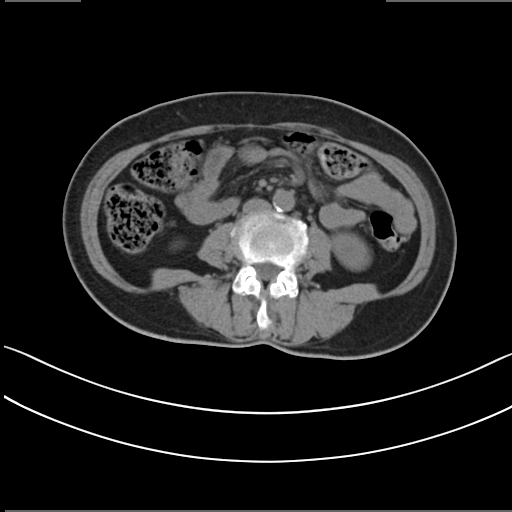
Multiphase abdominal CT, liver, non-contrast phase.
Patient: female, age 61.